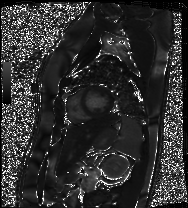
Cardiac MRI.
Subject group: patient.